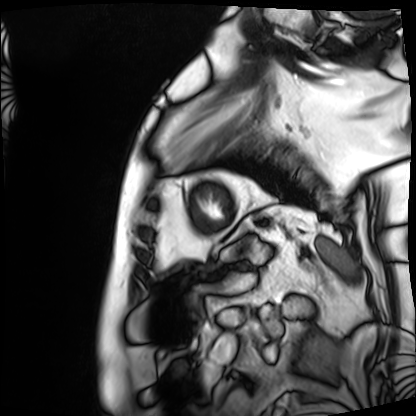
modality = cardiac MRI, subject group = patient.